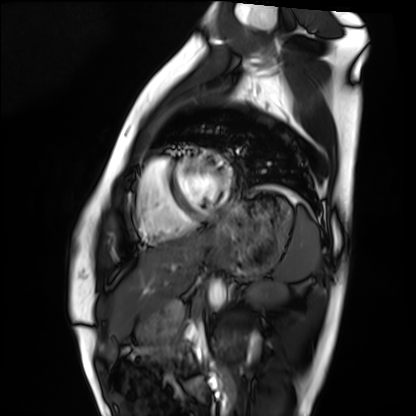
| field | value |
|---|---|
| modality | cardiac MRI |
| subject group | healthy volunteer |